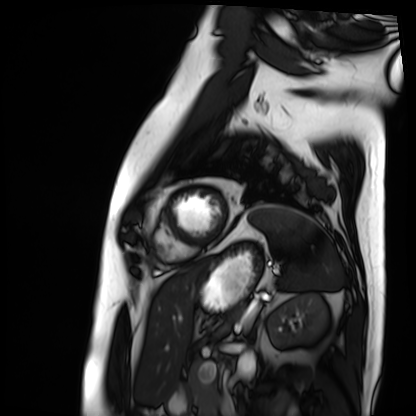
– modality: cardiac MRI
– subject group: patient